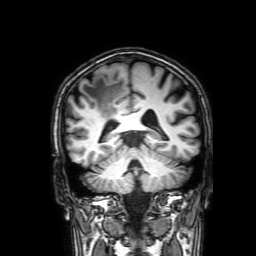
Clinical context:
3 Tesla brain MRI. Series: 3D T1-weighted with SENSE. Study: ring-enhancing brain masses.